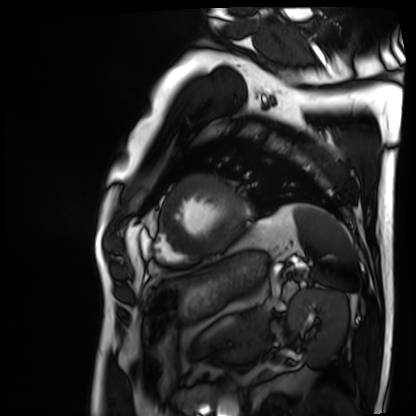
Q: What kind of scan is this?
A: Cardiac MRI.
Subject group: patient.